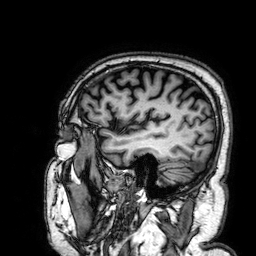
Clinical context:
3 Tesla brain MRI. Series: 3D T1-weighted. Study: ring-enhancing brain masses.